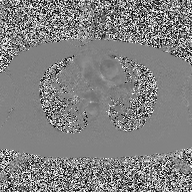
modality = 2D phase-contrast cine MRI of the ascending aorta.